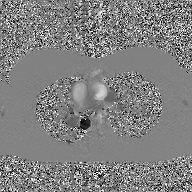
{
  "modality": {
    "type": "2D phase-contrast cine MRI",
    "region": "ascending aorta",
    "reconstruction": "GAN super-resolution reconstruction"
  }
}